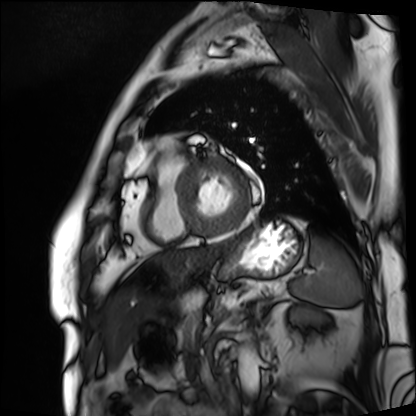
Cardiac MRI. Subject group: patient.